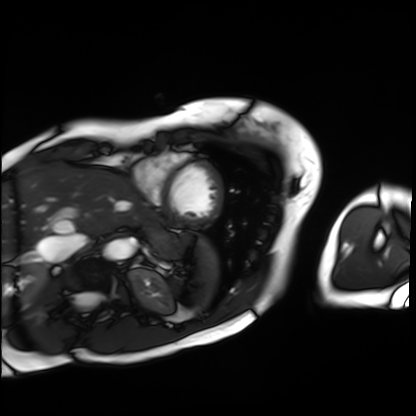
Cardiac MRI. Subject group: patient.